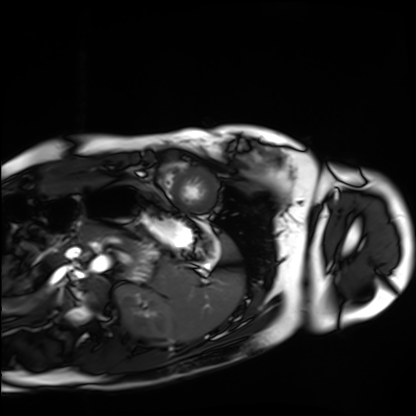
Clinical context:
Cardiac MRI. Subject group: healthy volunteer.